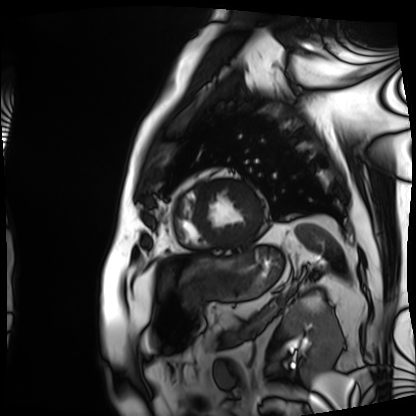
Clinical context: Cardiac MRI. Subject group: patient.